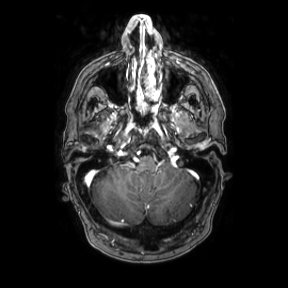
3 Tesla brain MRI.
Series: axial.
Study: ring-enhancing brain masses.